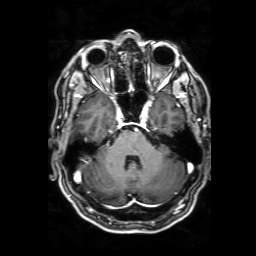
3 Tesla brain MRI. Series: 3D T1-weighted with SENSE. Study: ring-enhancing brain masses.